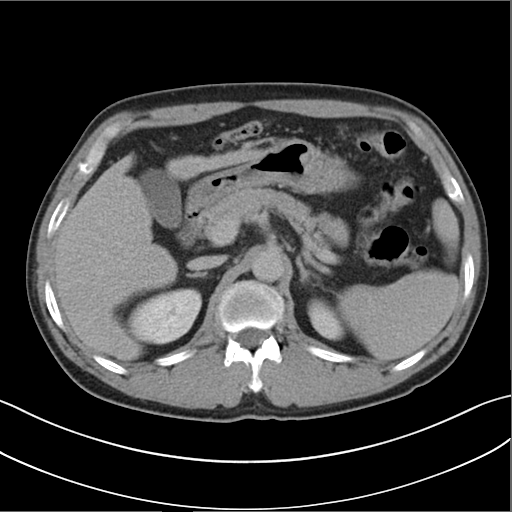
Multiphase abdominal CT, liver, delayed phase. Patient: male, age 58.